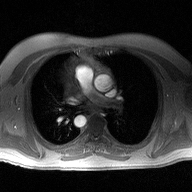
Q: What kind of scan is this?
A: 2D phase-contrast cine MRI of the ascending aorta.